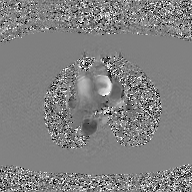
2D phase-contrast cine MRI of the ascending aorta, GAN super-resolution reconstruction.